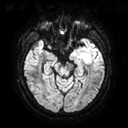
Q: What kind of scan is this?
A: 3 Tesla brain MRI.
Q: Series?
A: Diffusion tensor imaging (medium iso).
Study: ring-enhancing brain masses.